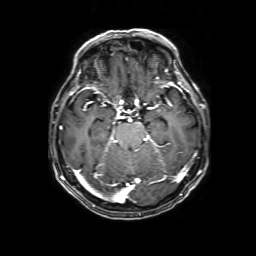
modality = 3 Tesla brain MRI | study = ring-enhancing brain masses.